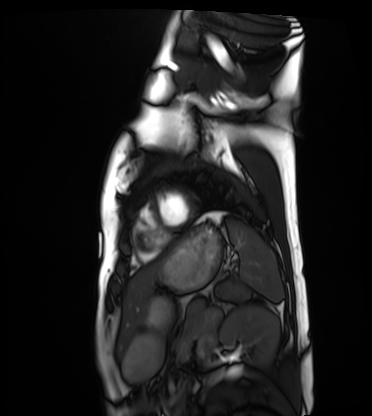
modality = cardiac MRI
subject group = healthy volunteer